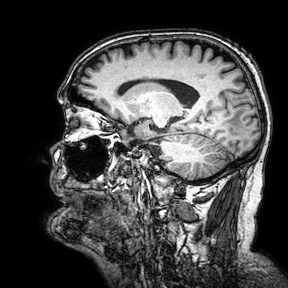
* modality — 3 Tesla brain MRI
* series — 3D T1-weighted turbo field echo with SENSE
* study — ring-enhancing brain masses